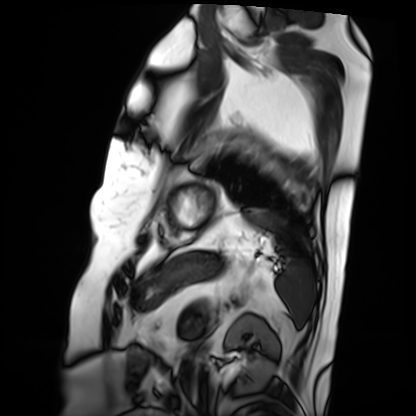
Cardiac MRI. Subject group: patient.